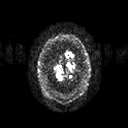
3 Tesla brain MRI. Series: diffusion tensor imaging (medium iso). Study: ring-enhancing brain masses.